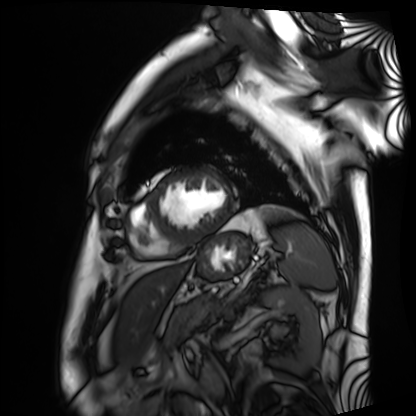
Summary:
Cardiac MRI. Subject group: patient.